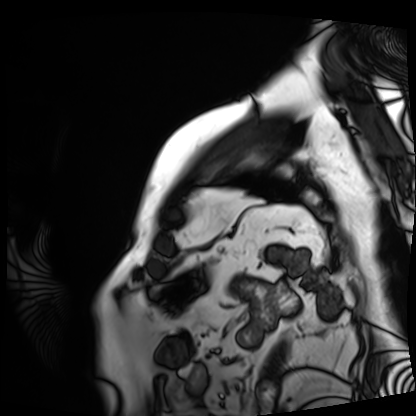
Cardiac MRI. Subject group: patient.